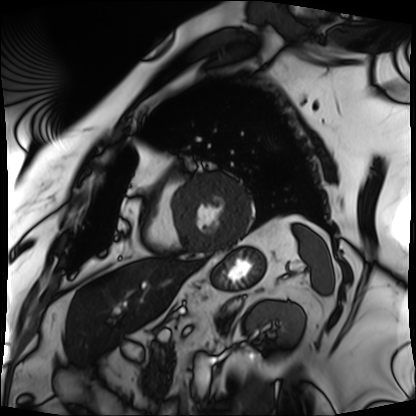
Cardiac MRI. Subject group: patient.